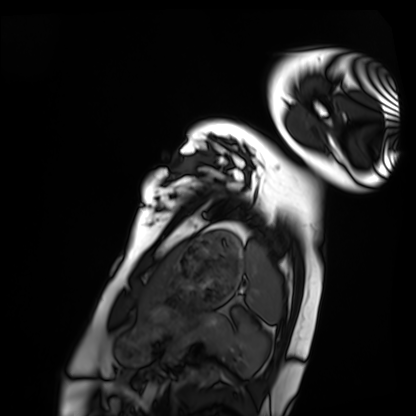
Summary: Cardiac MRI. Subject group: healthy volunteer.